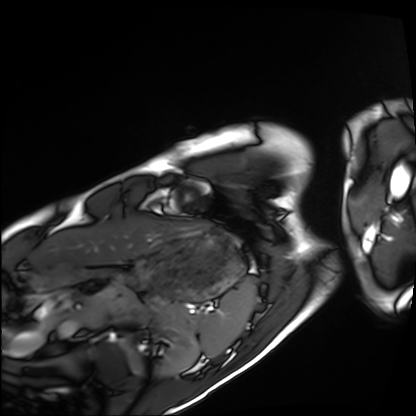
| field | value |
|---|---|
| modality | cardiac MRI |
| subject group | healthy volunteer |